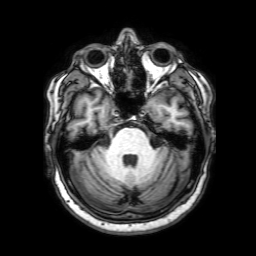
modality:
  type: brain MRI
  field_strength: 3T
series: 3D T1-weighted with SENSE
study_topic: ring-enhancing brain masses